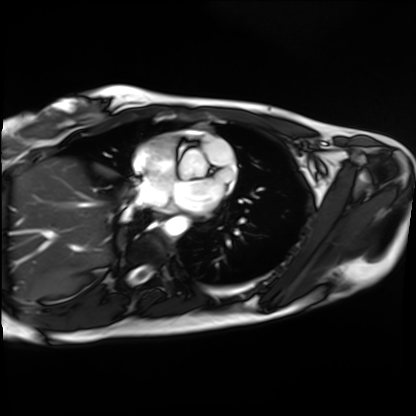
Cardiac MRI.
Subject group: healthy volunteer.